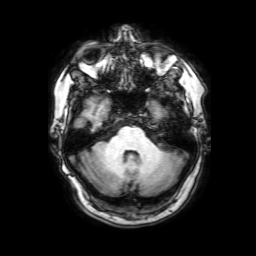
3 Tesla brain MRI. Series: 3D T1-weighted with SENSE. Study: ring-enhancing brain masses.